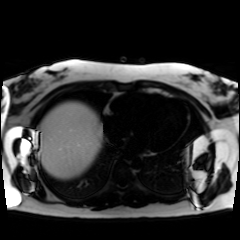
Chemical-shift-encoded cardiac MRI.